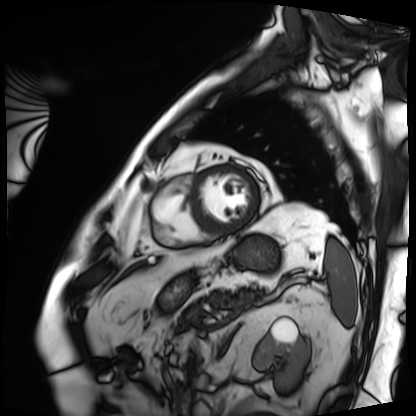
modality=cardiac MRI; subject group=patient.